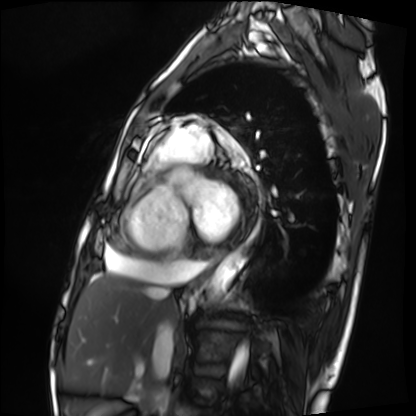
modality = cardiac MRI
subject group = patient